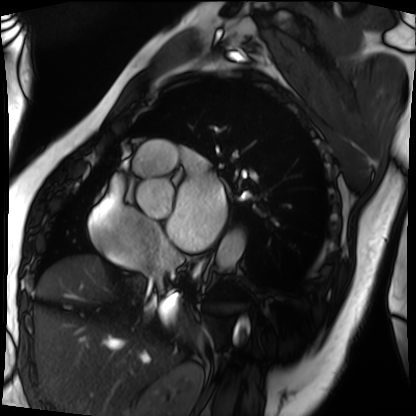
Cardiac MRI. Subject group: patient.